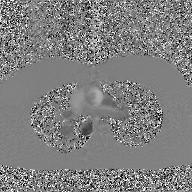
modality: 2D phase-contrast cine MRI of the ascending aorta, GAN super-resolution reconstruction